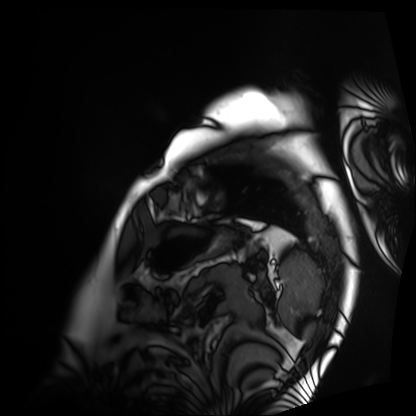
Clinical context: Cardiac MRI. Subject group: patient.